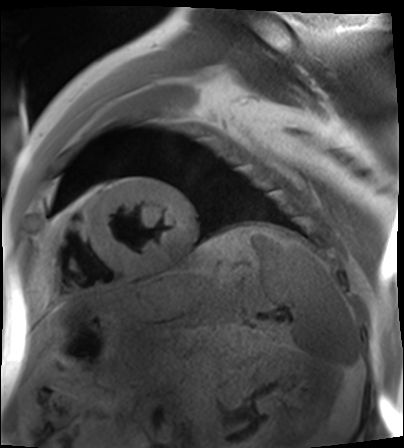
modality: cardiac MR image of the myocardium
subject cohort: cardiac patient